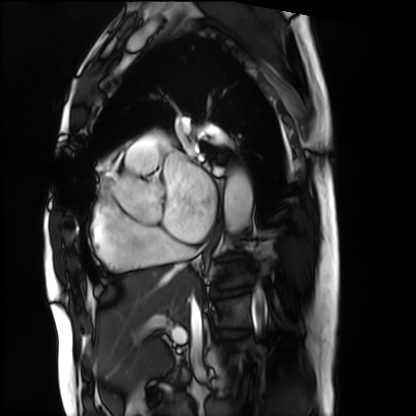
Cardiac MRI. Subject group: patient.